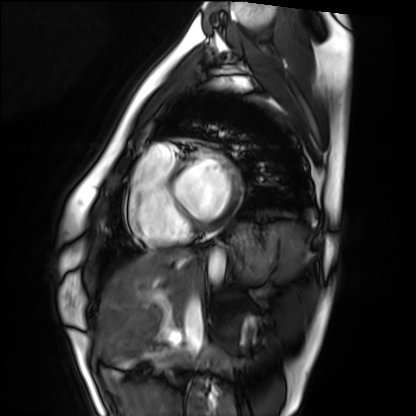
Summary: Cardiac MRI. Subject group: healthy volunteer.